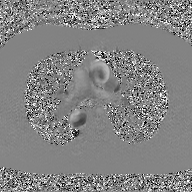
2D phase-contrast cine MRI of the ascending aorta, GAN super-resolution reconstruction.